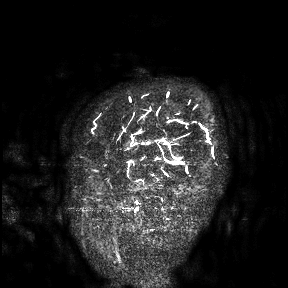
3 Tesla brain MRI.
Study: ring-enhancing brain masses.